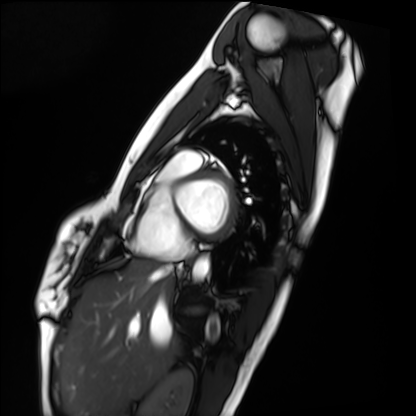
Summary:
Cardiac MRI. Subject group: healthy volunteer.